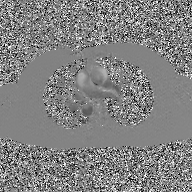
  modality:
    type: 2D phase-contrast cine MRI
    region: ascending aorta
    reconstruction: GAN super-resolution reconstruction